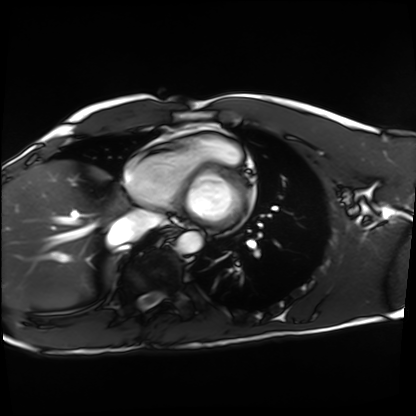
Cardiac MRI. Subject group: healthy volunteer.